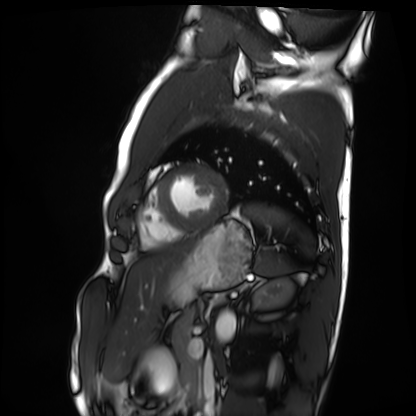
Summary: Cardiac MRI. Subject group: healthy volunteer.